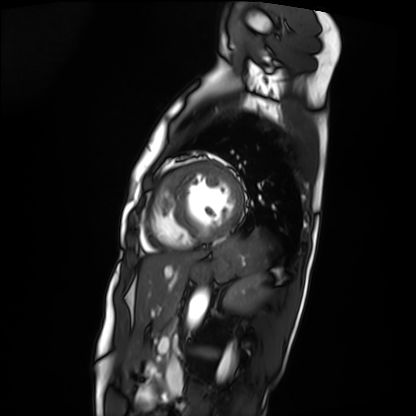
{
  "modality": "cardiac MRI",
  "cohort": "patient"
}